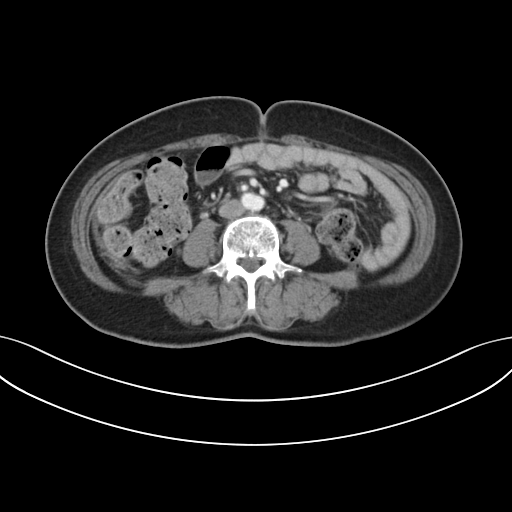
Multiphase abdominal CT, liver, portal venous phase. Patient: female, age 59.